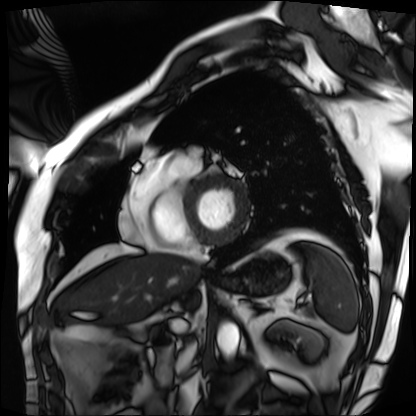
Q: What kind of scan is this?
A: Cardiac MRI.
Subject group: patient.